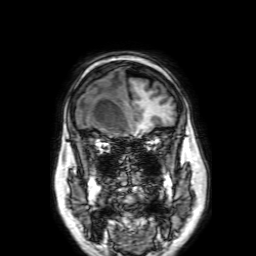
modality: 3 Tesla brain MRI; series: 3D T1-weighted with SENSE; study: ring-enhancing brain masses.